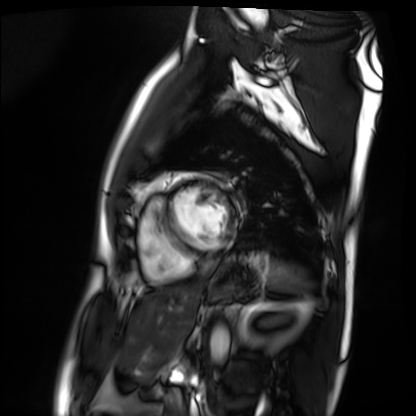
<case>
<modality>cardiac MRI</modality>
<cohort>patient</cohort>
</case>